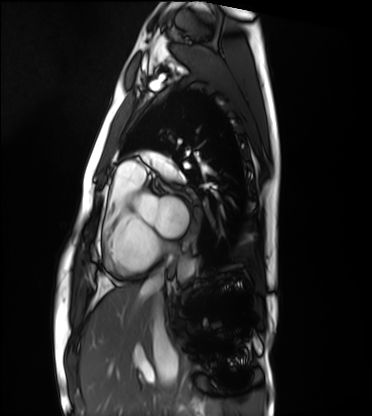
modality — cardiac MRI | subject group — healthy volunteer.